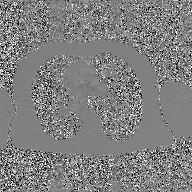
2D phase-contrast cine MRI of the ascending aorta, GAN super-resolution reconstruction.